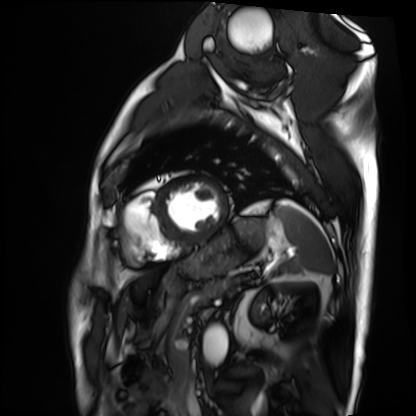
- modality: cardiac MRI
- subject group: patient